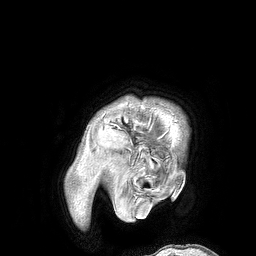
modality: 3 Tesla brain MRI | series: 3D T1-weighted turbo field echo | study: ring-enhancing brain masses.